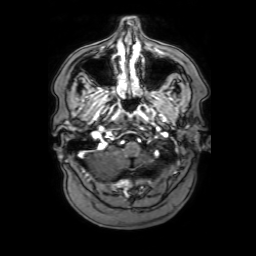
Summary: 3 Tesla brain MRI. Series: 3D T1-weighted with SENSE. Study: ring-enhancing brain masses.